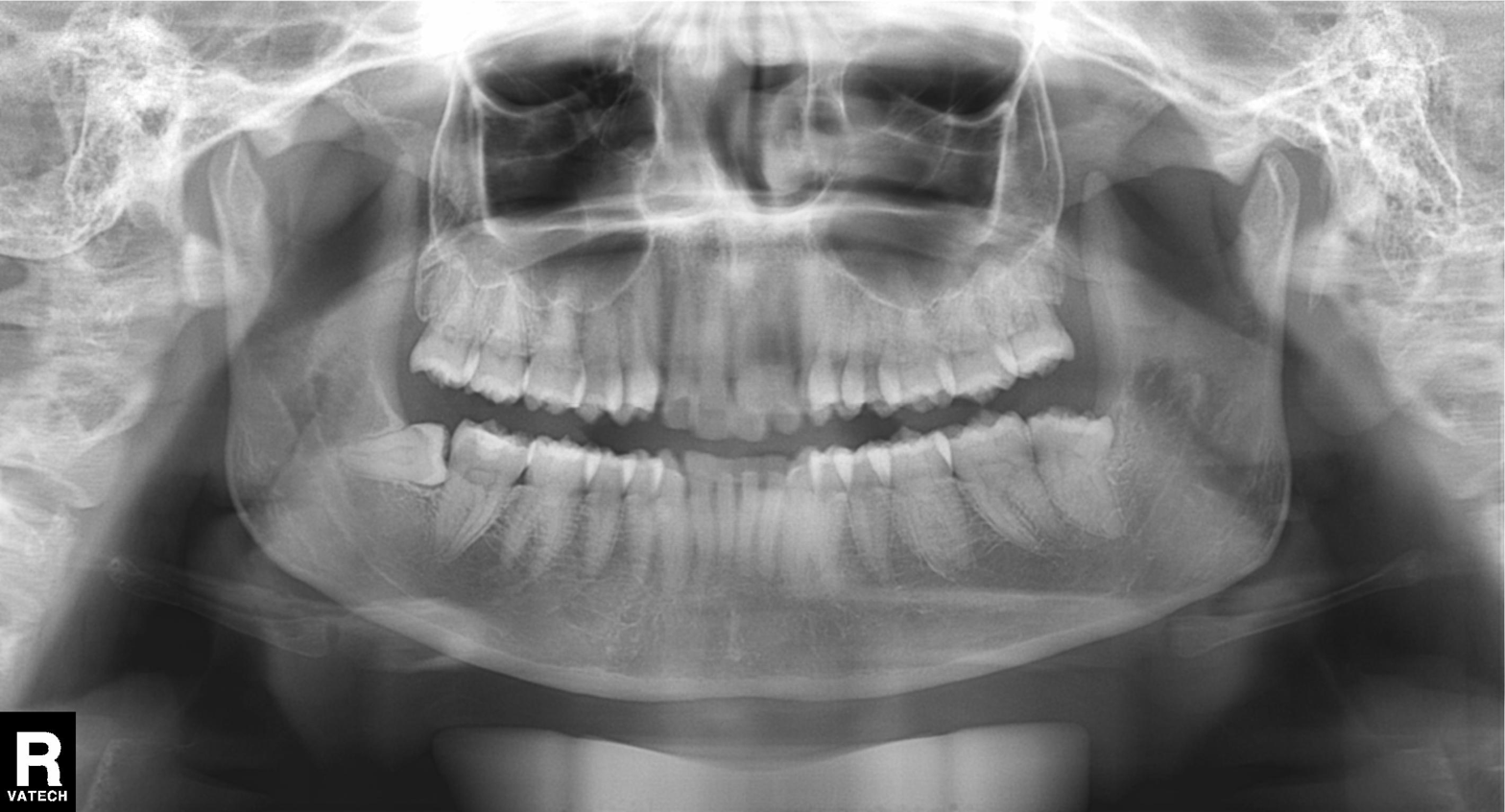
Q: What kind of scan is this?
A: Panoramic dental radiograph (orthopantomogram).
Q: What is the radiographic finding?
A: Alveolar bone loss.